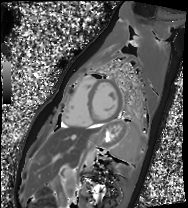
Summary: Cardiac MRI. Subject group: healthy volunteer.